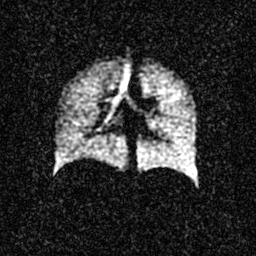
modality: hyperpolarized 129Xe ventilation MRI of the lungs
snr_level: 3 of 8 (the deposit holds this scan as its native image and as seven SNR-degraded versions)